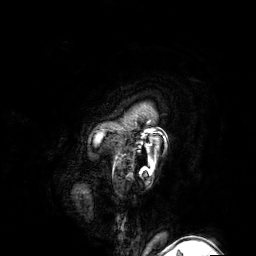
3 Tesla brain MRI. Series: 3D T1-weighted turbo field echo with SENSE. Study: ring-enhancing brain masses.